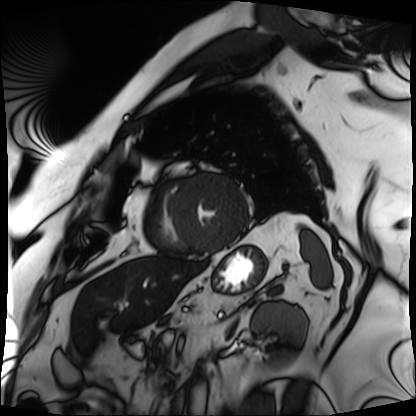
Q: What kind of scan is this?
A: Cardiac MRI.
Subject group: patient.